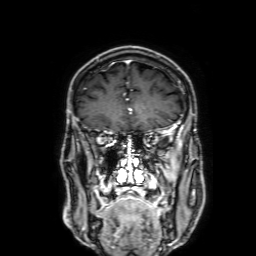
Summary:
3 Tesla brain MRI. Series: 3D T1-weighted with SENSE. Study: ring-enhancing brain masses.